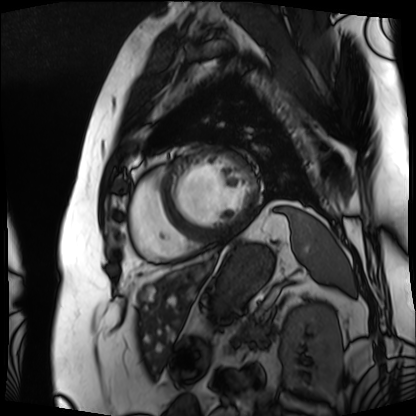
Q: What kind of scan is this?
A: Cardiac MRI.
Subject group: patient.